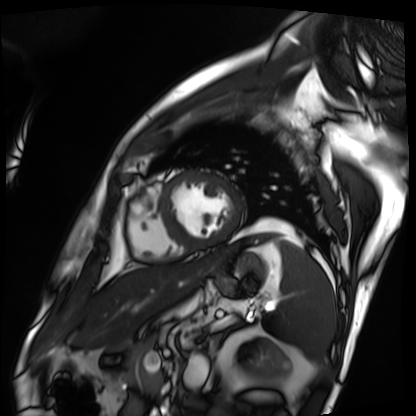
Q: What kind of scan is this?
A: Cardiac MRI.
Subject group: patient.